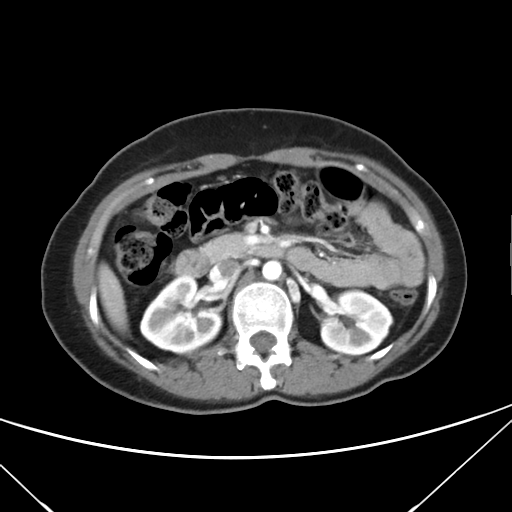
modality = multiphase abdominal CT, liver, arterial phase
patient = female, age 43